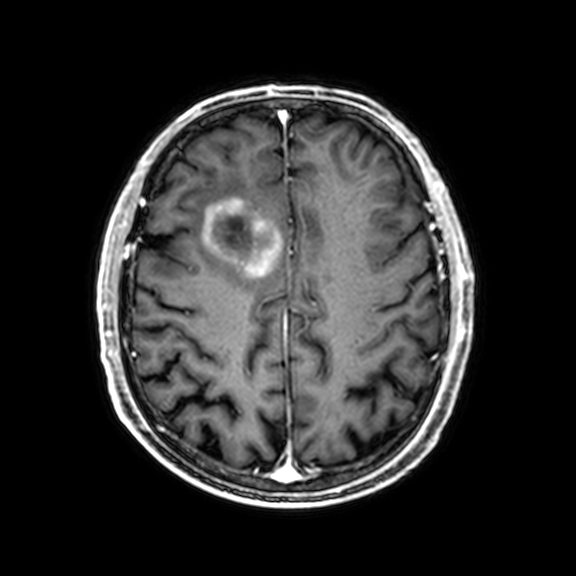
Summary: 3 Tesla brain MRI. Study: ring-enhancing brain masses.